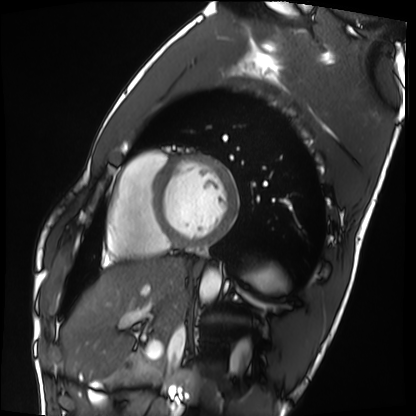
modality = cardiac MRI | subject group = healthy volunteer.